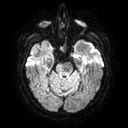
3 Tesla brain MRI.
Series: diffusion tensor imaging (medium iso).
Study: ring-enhancing brain masses.